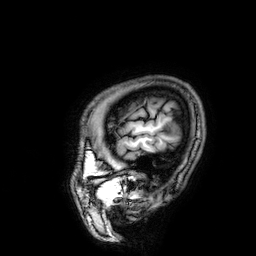
| field | value |
|---|---|
| modality | 3 Tesla brain MRI |
| series | 3D T1-weighted |
| study | ring-enhancing brain masses |